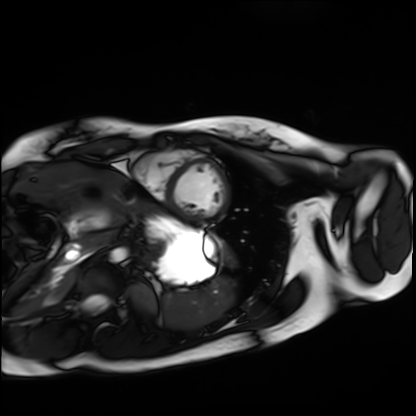
Cardiac MRI. Subject group: healthy volunteer.